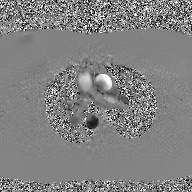
2D phase-contrast cine MRI of the ascending aorta, GAN super-resolution reconstruction.